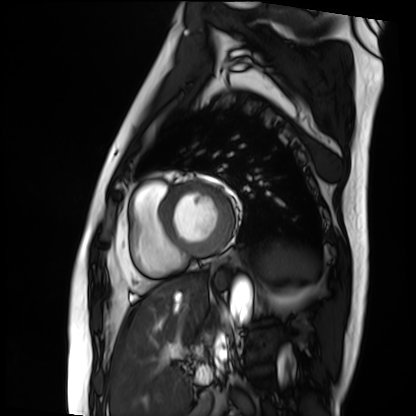
modality = cardiac MRI; subject group = patient.